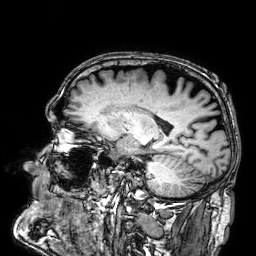
Case summary: 3 Tesla brain MRI. Series: 3D T1-weighted. Study: ring-enhancing brain masses.